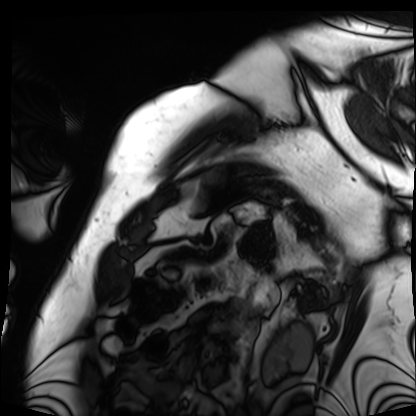
Cardiac MRI.
Subject group: patient.